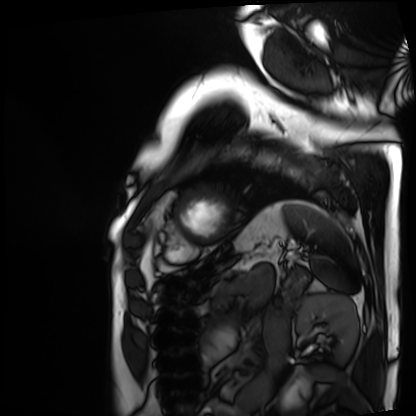
Q: What kind of scan is this?
A: Cardiac MRI.
Subject group: patient.